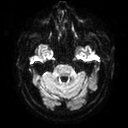
3 Tesla brain MRI.
Series: diffusion tensor imaging (medium iso).
Study: ring-enhancing brain masses.